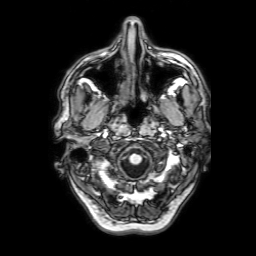
3 Tesla brain MRI. Series: 3D T1-weighted with SENSE. Study: ring-enhancing brain masses.